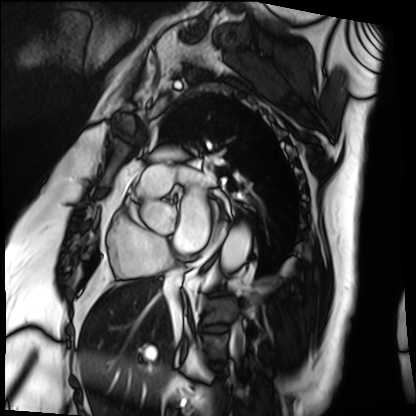
modality — cardiac MRI; subject group — patient.